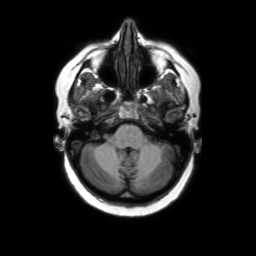
Case summary: 3 Tesla brain MRI. Series: axial without contrast. Study: ring-enhancing brain masses.